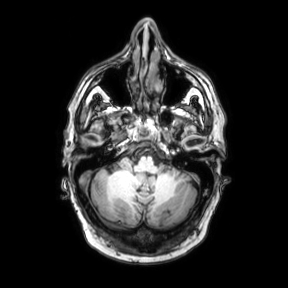
{
  "modality": {
    "type": "brain MRI",
    "field_strength": "3T"
  },
  "series": "axial",
  "study_topic": "ring-enhancing brain masses"
}